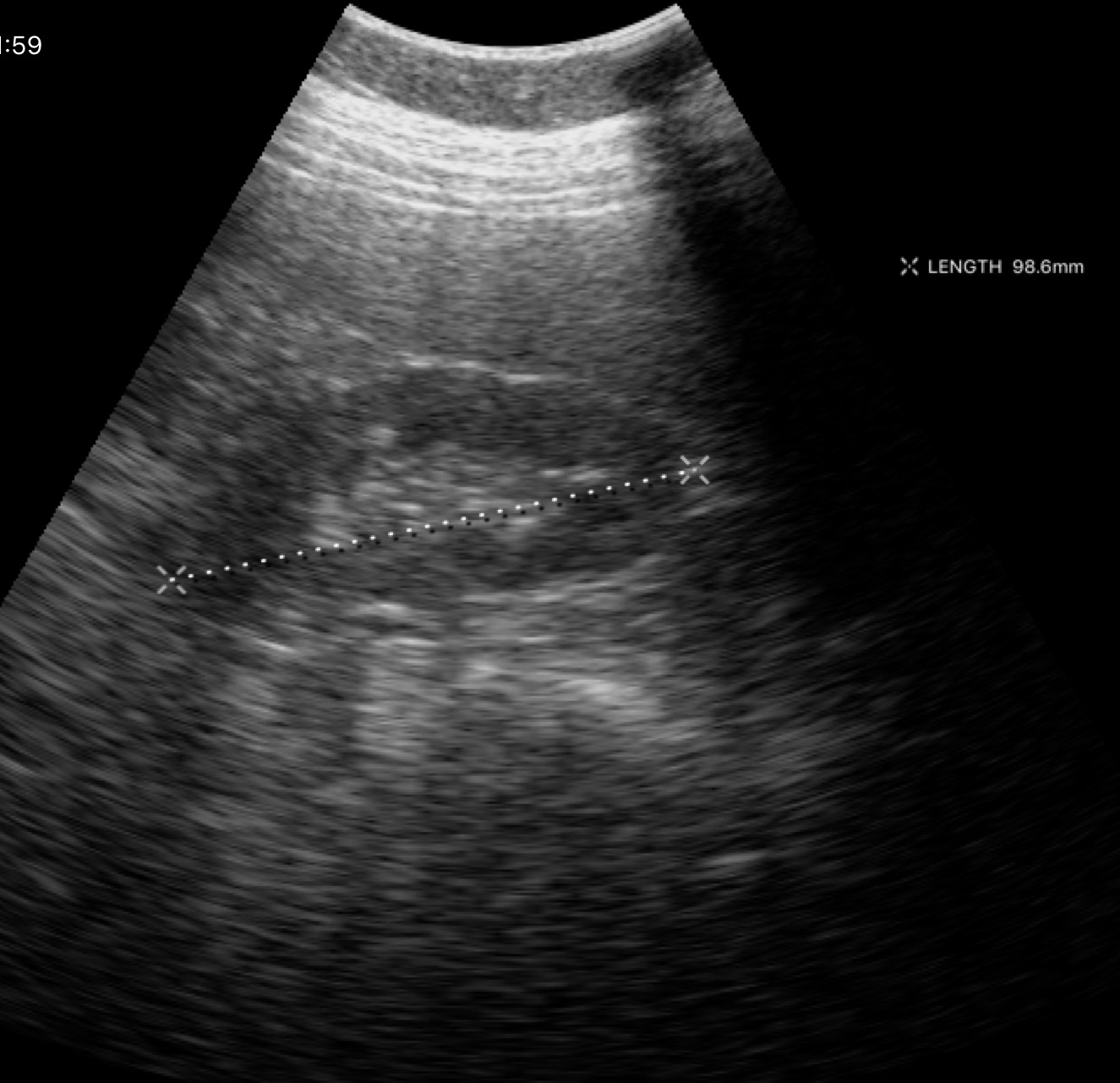
Summary:
Genitourinary ultrasound.